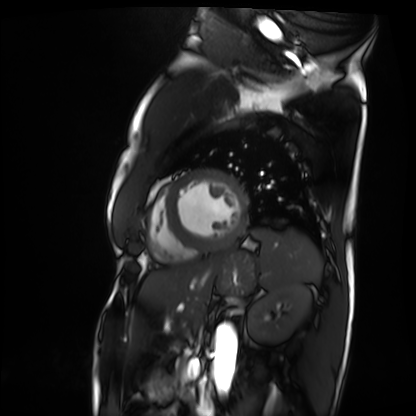
Cardiac MRI. Subject group: patient.